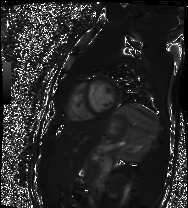
modality — cardiac MR image of the myocardium
subject cohort — healthy volunteer